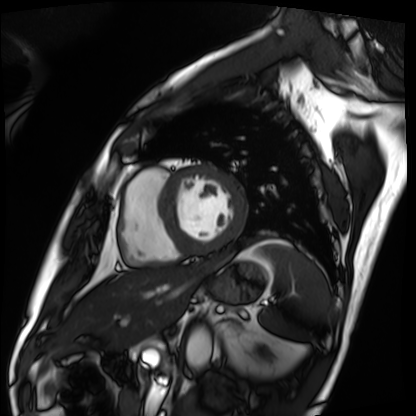
Summary:
Cardiac MRI. Subject group: patient.